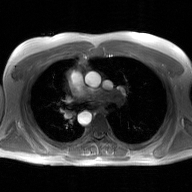
2D phase-contrast cine MRI of the ascending aorta, GAN super-resolution reconstruction.